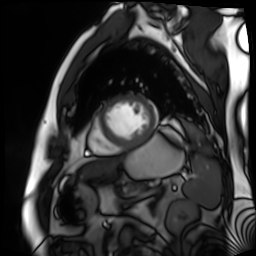
modality=cardiac MR image of the myocardium; subject cohort=cardiac patient.